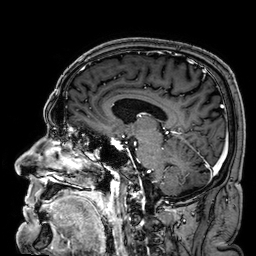
Case:
* modality: 3 Tesla brain MRI
* series: 3D T1-weighted
* study: ring-enhancing brain masses